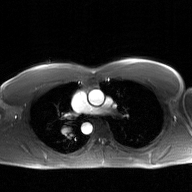
2D phase-contrast cine MRI of the ascending aorta, GAN super-resolution reconstruction.